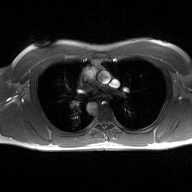
modality: 2D phase-contrast cine MRI of the ascending aorta